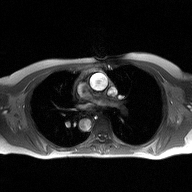
- modality · 2D phase-contrast cine MRI of the ascending aorta